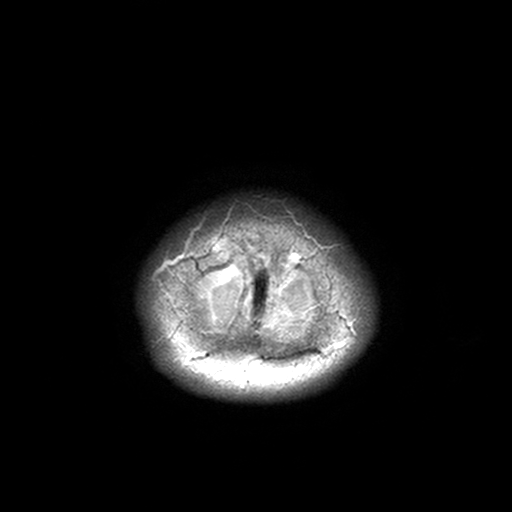
modality: 3 Tesla brain MRI
series: T2-weighted turbo spin echo, 3 mm
study: ring-enhancing brain masses